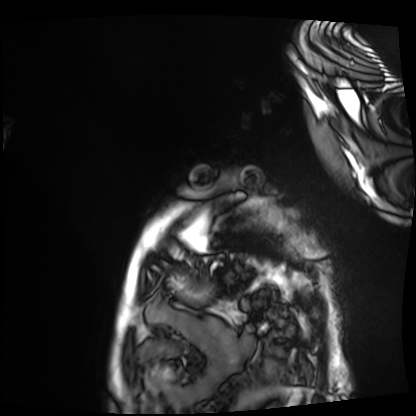
Cardiac MRI.
Subject group: patient.